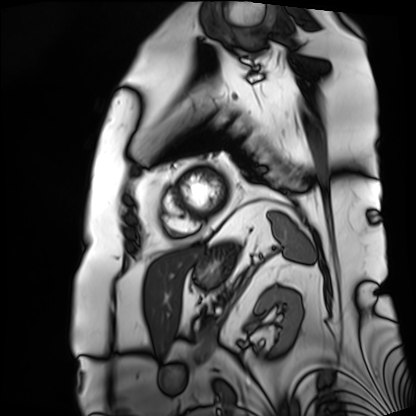
Cardiac MRI. Subject group: patient.